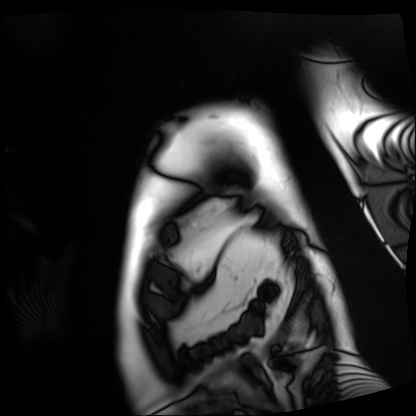
Cardiac MRI. Subject group: patient.